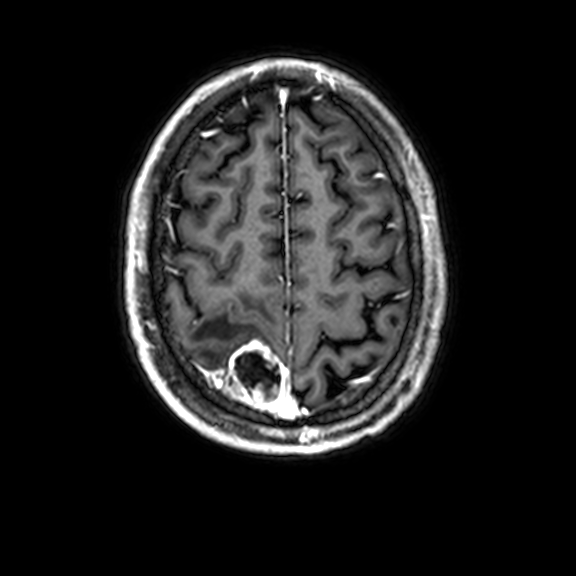
modality: 3 Tesla brain MRI; series: 3D T1-weighted with CLEAR; study: ring-enhancing brain masses.